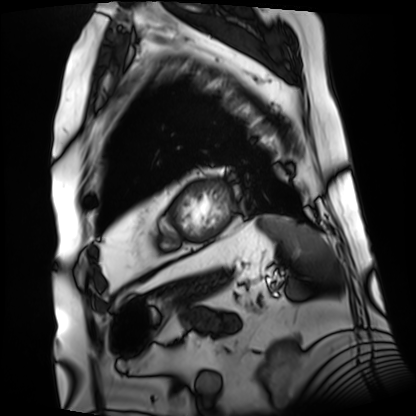
Clinical context:
Cardiac MRI. Subject group: patient.